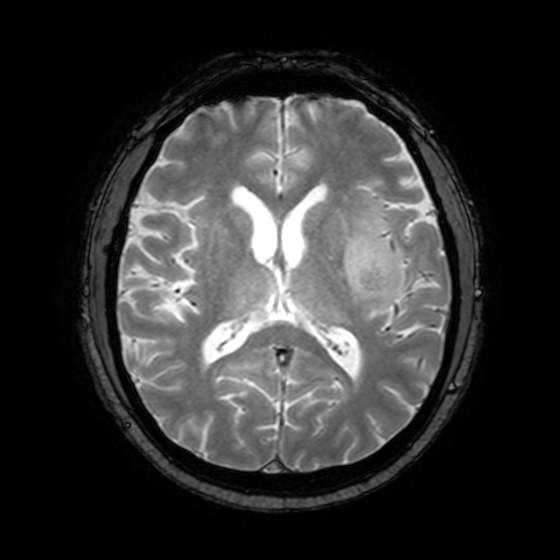
| field | value |
|---|---|
| modality | 3 Tesla brain MRI |
| series | T2-weighted fast field echo with SENSE |
| study | ring-enhancing brain masses |